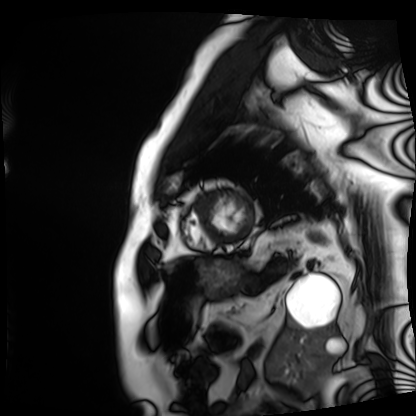
Clinical context: Cardiac MRI. Subject group: patient.